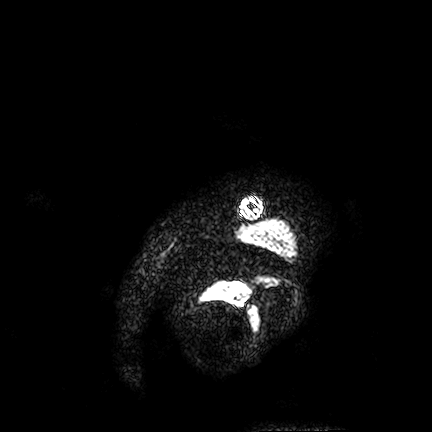
<case>
  <modality>
    <type>brain MRI</type>
    <field_strength>3T</field_strength>
  </modality>
  <series>FLAIR VISTA</series>
  <study_topic>ring-enhancing brain masses</study_topic>
</case>